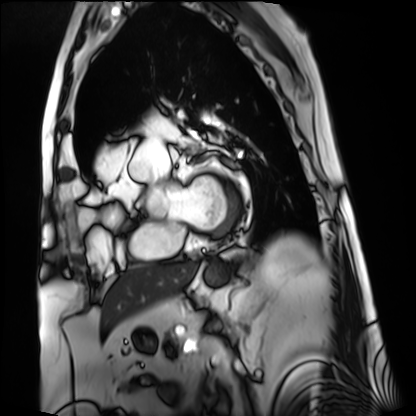
Case:
* modality: cardiac MRI
* subject group: patient